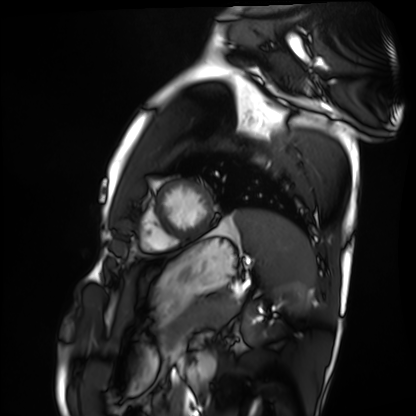
modality: cardiac MRI
cohort: healthy volunteer